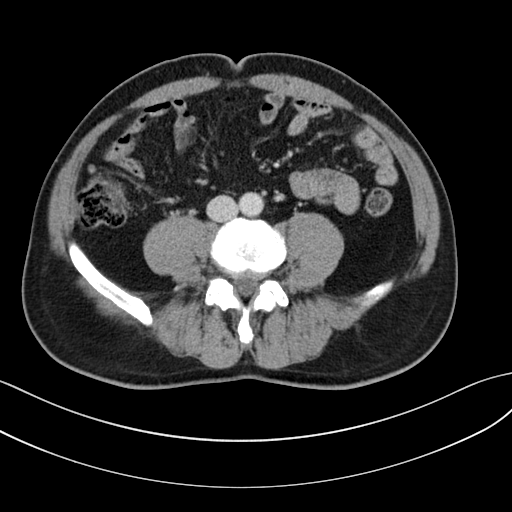
Multiphase abdominal CT, liver, portal venous phase. Patient: male, age 62.